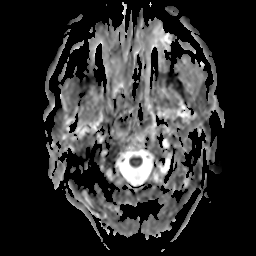
| field | value |
|---|---|
| modality | 3 Tesla brain MRI |
| series | apparent diffusion coefficient (ADC) map |
| study | ring-enhancing brain masses |